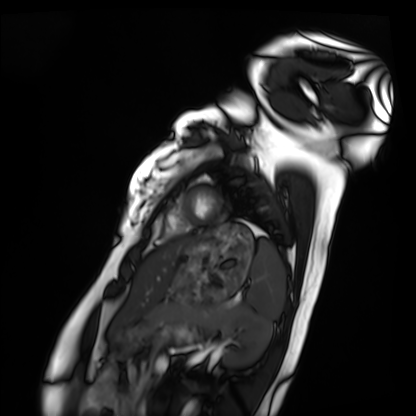
Case summary: Cardiac MRI. Subject group: healthy volunteer.